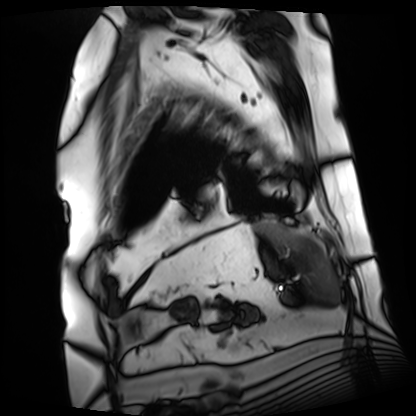
Cardiac MRI. Subject group: patient.